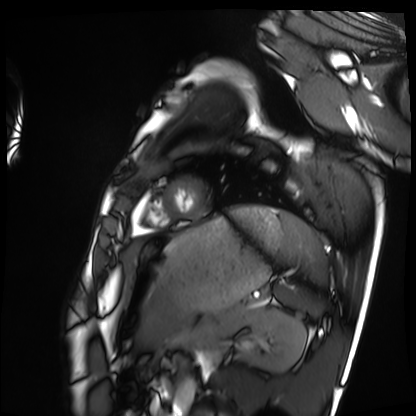
Summary:
Cardiac MRI. Subject group: healthy volunteer.